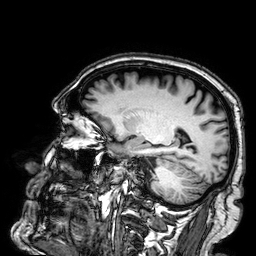
modality = 3 Tesla brain MRI | series = 3D T1-weighted | study = ring-enhancing brain masses.